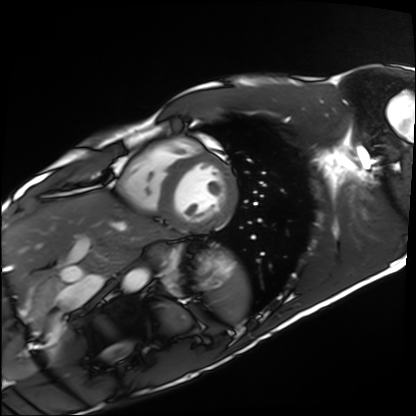
Cardiac MRI. Subject group: healthy volunteer.